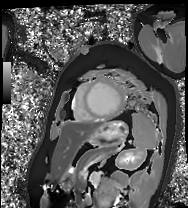
Clinical context:
Cardiac MRI. Subject group: patient.